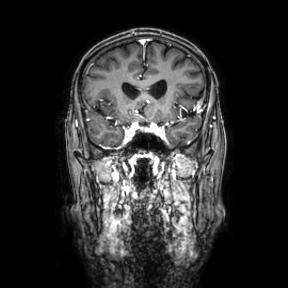
3 Tesla brain MRI. Series: coronal. Study: ring-enhancing brain masses.